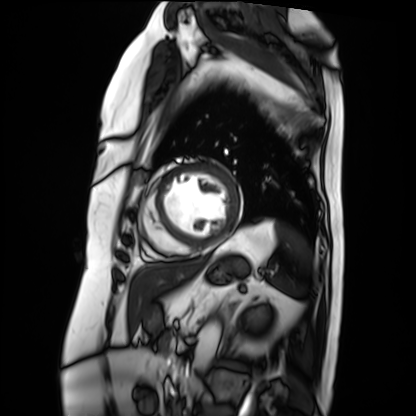
Cardiac MRI. Subject group: patient.